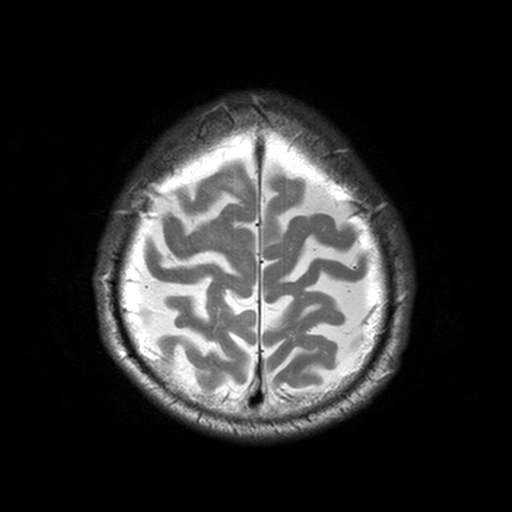
modality=3 Tesla brain MRI | series=T2-weighted turbo spin echo, 3 mm | study=ring-enhancing brain masses.